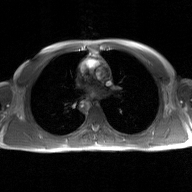
2D phase-contrast cine MRI of the ascending aorta, GAN super-resolution reconstruction.